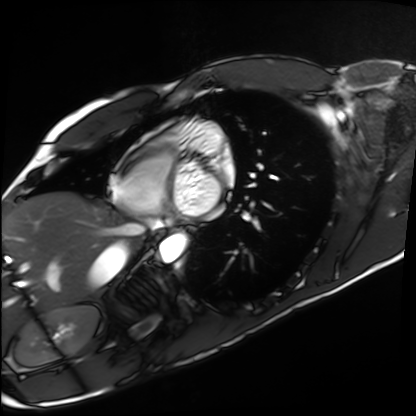
modality = cardiac MRI
subject group = healthy volunteer